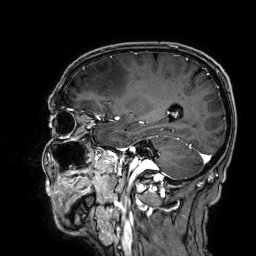
Summary:
3 Tesla brain MRI. Series: 3D T1-weighted. Study: ring-enhancing brain masses.